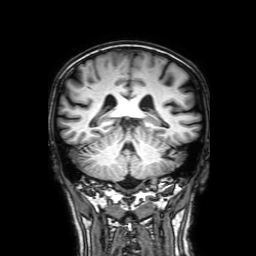
{"modality": {"type": "brain MRI", "field_strength": "3T"}, "series": "3D T1-weighted with SENSE", "study_topic": "ring-enhancing brain masses"}